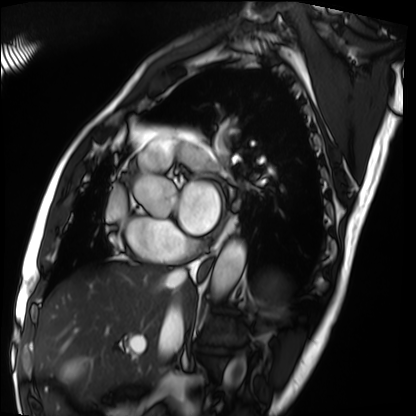
{
  "modality": "cardiac MRI",
  "cohort": "patient"
}